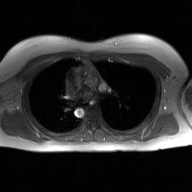
Clinical context:
2D phase-contrast cine MRI of the ascending aorta, GAN super-resolution reconstruction.